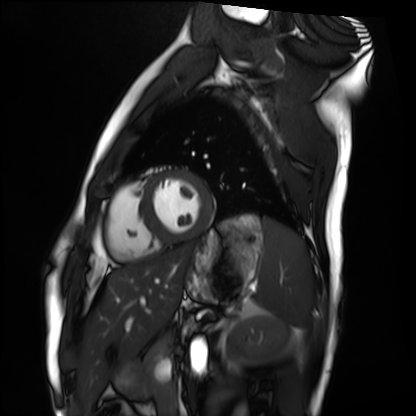
modality: cardiac MRI; subject group: healthy volunteer.